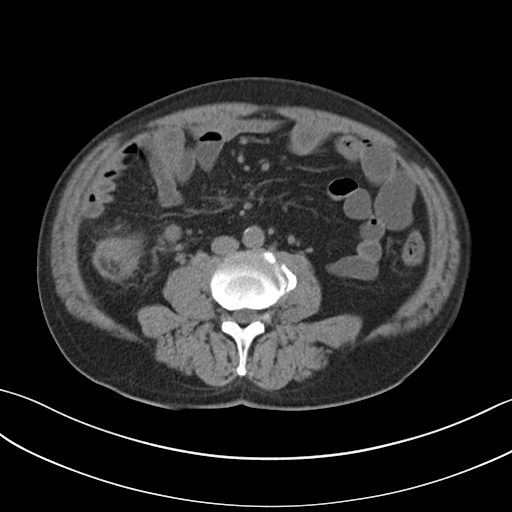
modality: multiphase abdominal CT, liver, non-contrast phase.